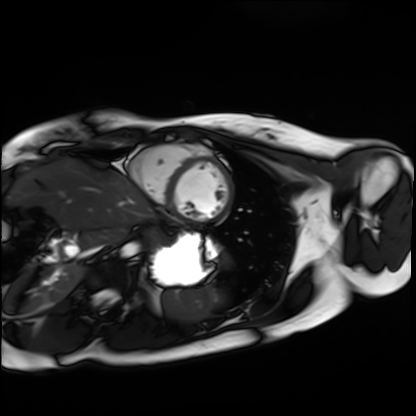
Case:
- modality: cardiac MRI
- subject group: healthy volunteer